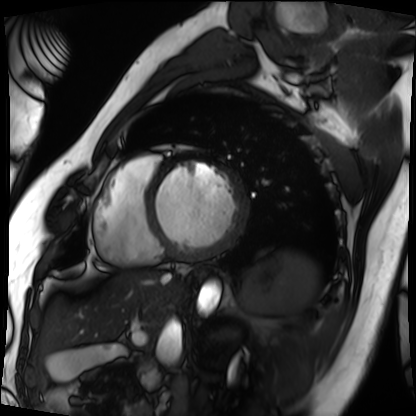
- modality: cardiac MRI
- subject group: patient